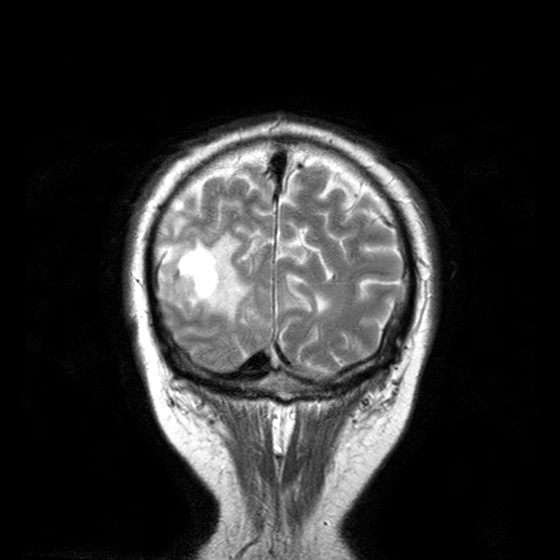
modality: 3 Tesla brain MRI
series: T2-weighted turbo spin echo with CLEAR
study: ring-enhancing brain masses